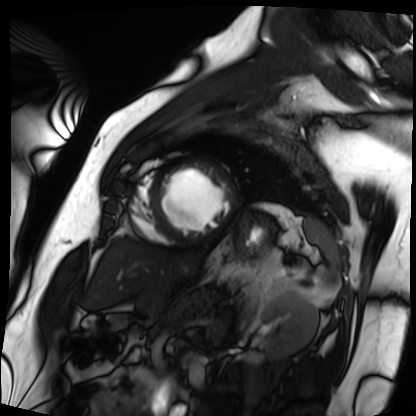
Cardiac MRI.
Subject group: patient.